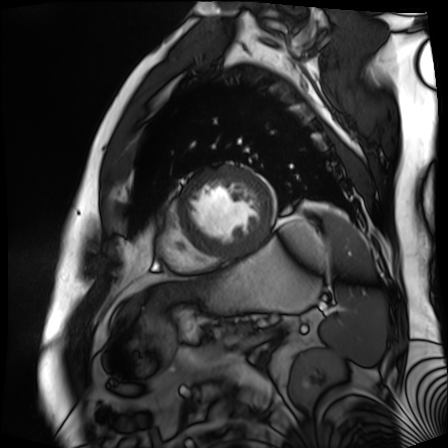
<scan>
  <modality>cardiac MR image of the myocardium</modality>
  <cohort>cardiac patient</cohort>
</scan>